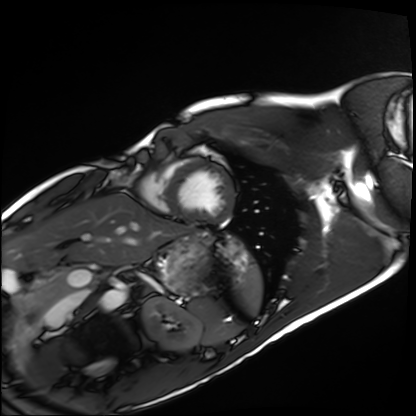
Summary: Cardiac MRI. Subject group: healthy volunteer.